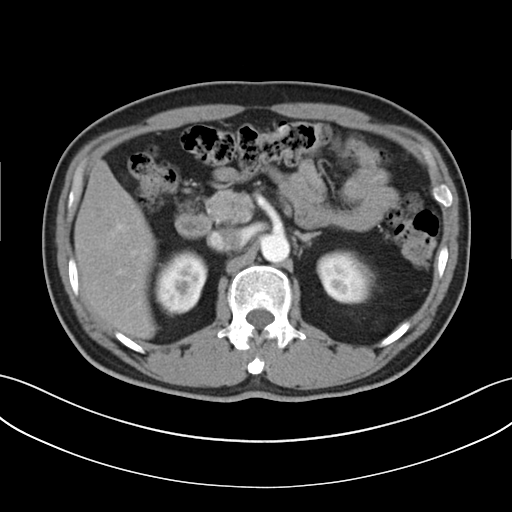
Summary:
Multiphase abdominal CT, liver, arterial phase. Patient: male, age 51.